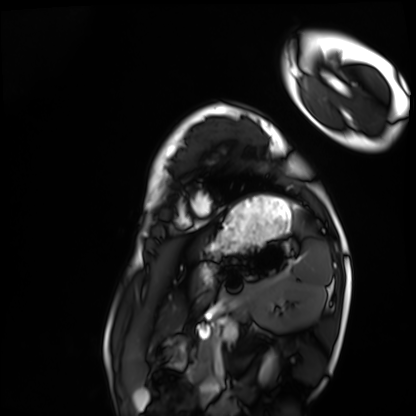
Cardiac MRI.
Subject group: healthy volunteer.